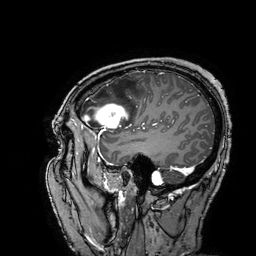
- modality · 3 Tesla brain MRI
- series · 3D T1-weighted turbo field echo with SENSE
- study · ring-enhancing brain masses